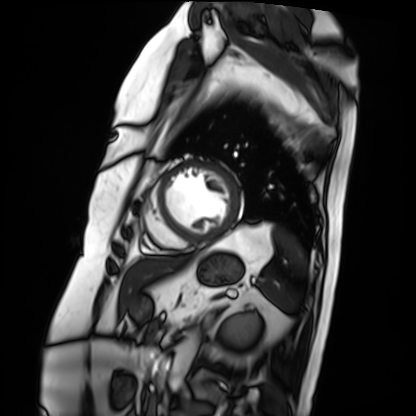
Cardiac MRI. Subject group: patient.